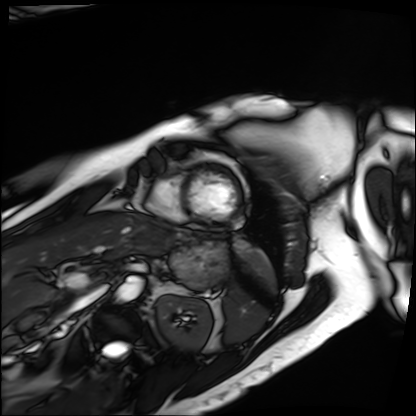
Cardiac MRI. Subject group: patient.